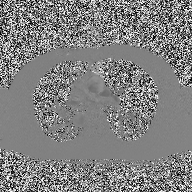
modality = 2D phase-contrast cine MRI of the ascending aorta.